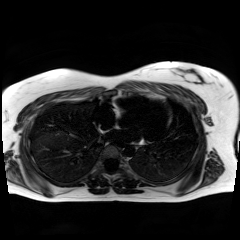
modality: chemical-shift-encoded cardiac MRI